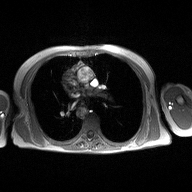
modality=2D phase-contrast cine MRI of the ascending aorta.